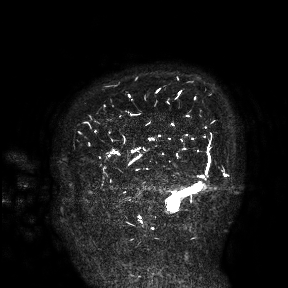
<case>
<modality>
  <type>brain MRI</type>
  <field_strength>3T</field_strength>
</modality>
<study_topic>ring-enhancing brain masses</study_topic>
</case>